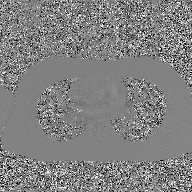
{"modality": {"type": "2D phase-contrast cine MRI", "region": "ascending aorta", "reconstruction": "GAN super-resolution reconstruction"}}